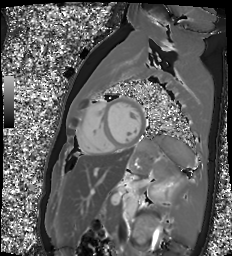
  modality: cardiac MR image of the myocardium
  cohort: healthy volunteer